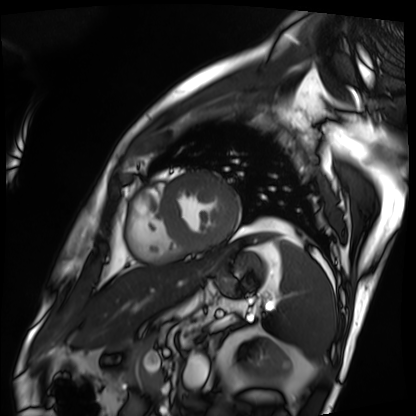
Cardiac MRI.
Subject group: patient.